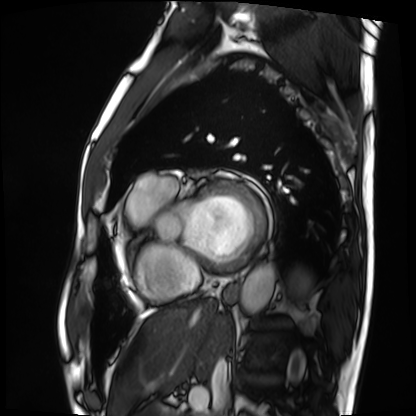
Case summary: Cardiac MRI. Subject group: patient.